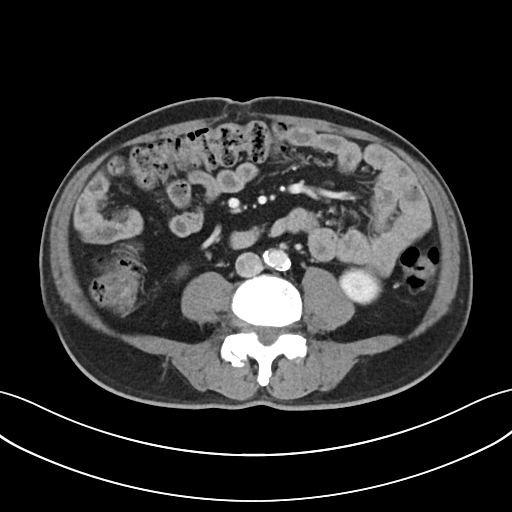
Multiphase abdominal CT, liver, portal venous phase.
Patient: male, age 65.
History: cirrhosis.